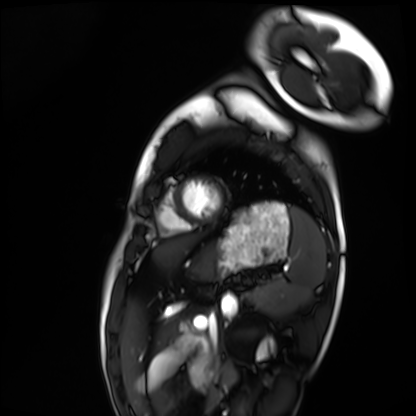
modality = cardiac MRI | subject group = healthy volunteer.